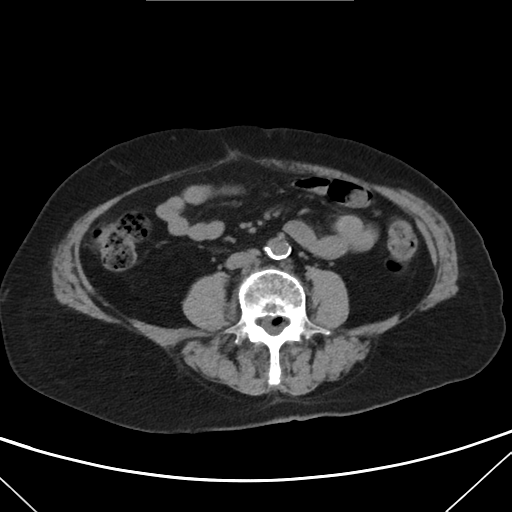
Case summary:
Multiphase abdominal CT, liver, non-contrast phase. Patient: female, age 74. History: viral hepatitis.